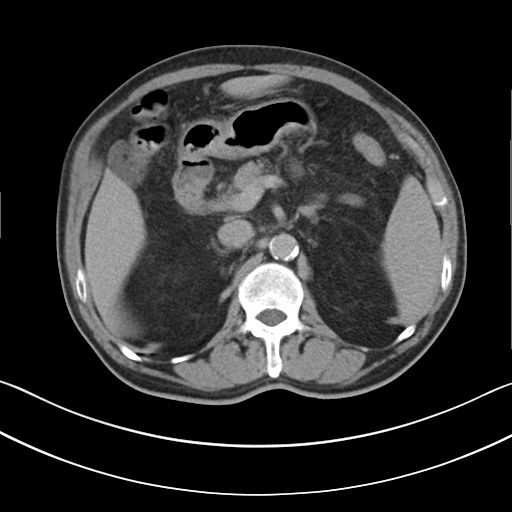
| field | value |
|---|---|
| modality | multiphase abdominal CT, liver, delayed phase |